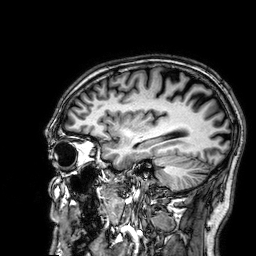
- modality — 3 Tesla brain MRI
- series — 3D T1-weighted
- study — ring-enhancing brain masses